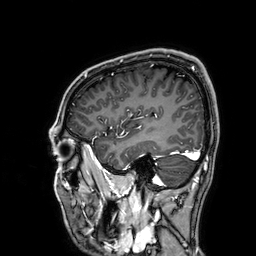
{
  "modality": {
    "type": "brain MRI",
    "field_strength": "3T"
  },
  "series": "3D T1-weighted",
  "study_topic": "ring-enhancing brain masses"
}